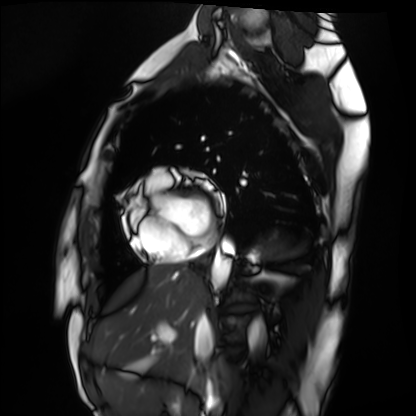
– modality — cardiac MRI
– subject group — healthy volunteer